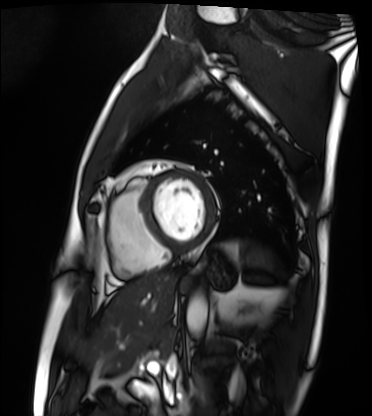
Cardiac MRI. Subject group: patient.